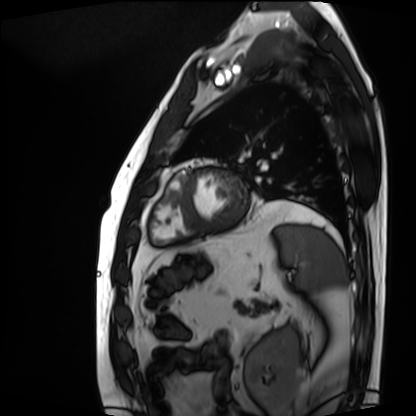
Cardiac MRI.
Subject group: patient.